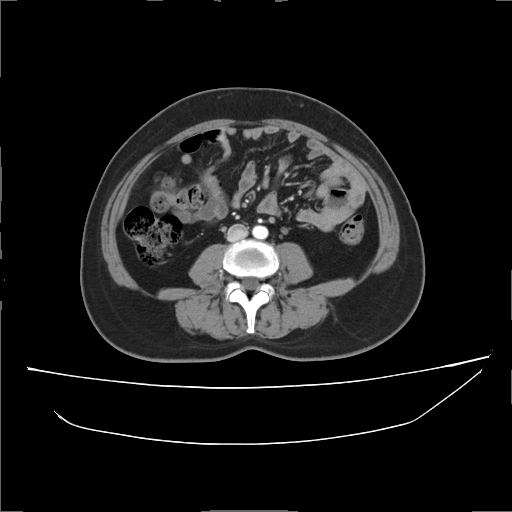
Summary: Multiphase abdominal CT, liver, arterial phase. Patient: female, age 56. History: prior chemotherapy.